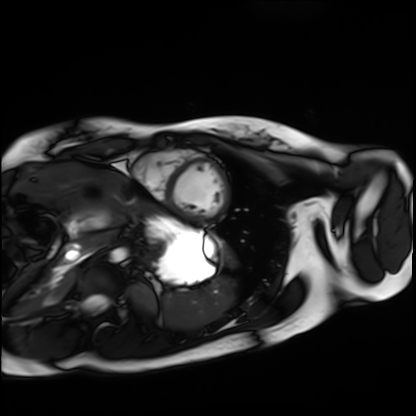
{"modality": "cardiac MRI", "cohort": "healthy volunteer"}